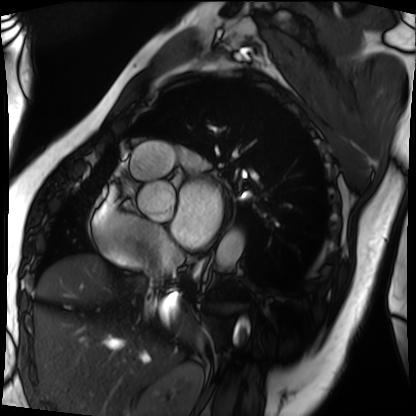
modality: cardiac MRI, subject group: patient.